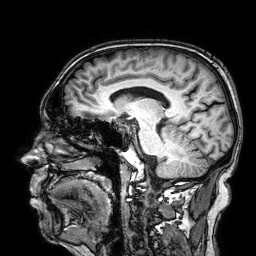
- modality: 3 Tesla brain MRI
- series: 3D T1-weighted
- study: ring-enhancing brain masses